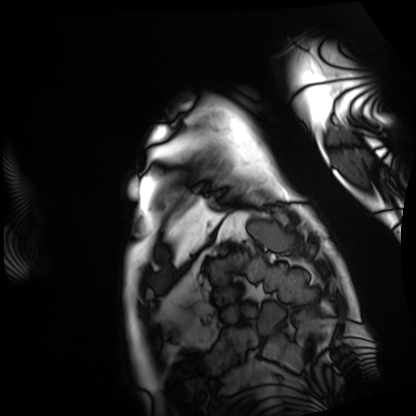
modality — cardiac MRI | subject group — patient.